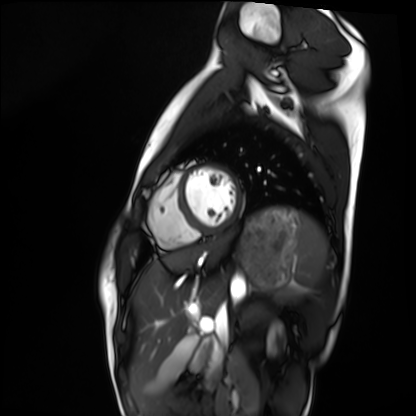
Cardiac MRI. Subject group: healthy volunteer.